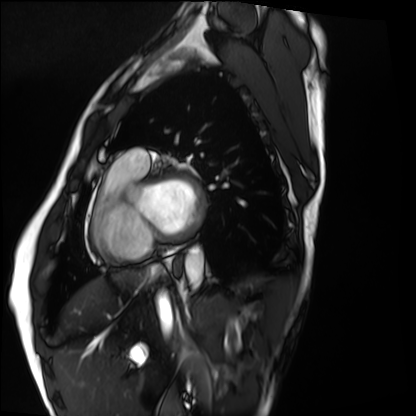
modality: cardiac MRI
subject group: healthy volunteer